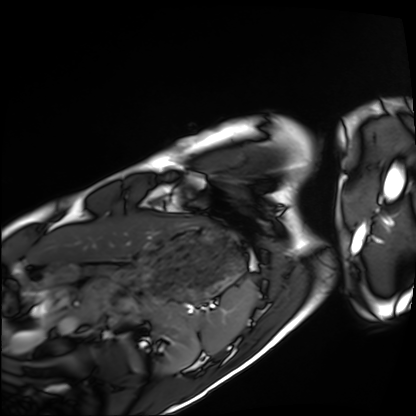
Summary: Cardiac MRI. Subject group: healthy volunteer.